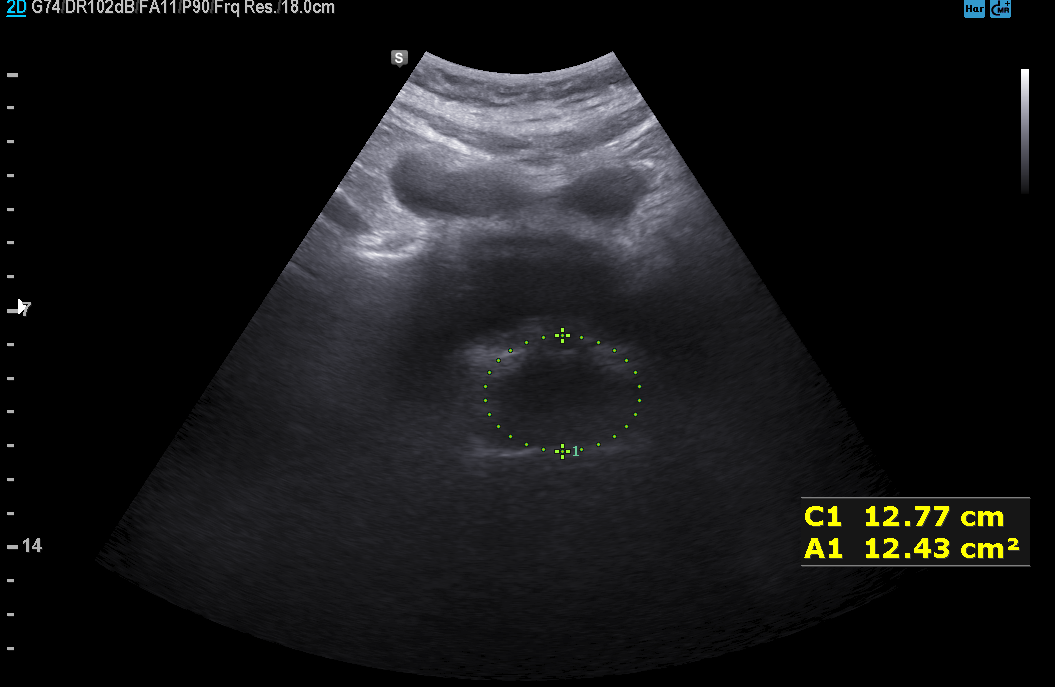
Genitourinary ultrasound.